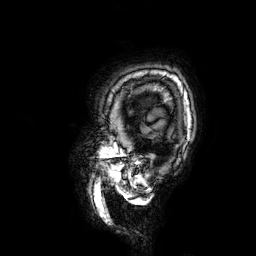
Summary:
3 Tesla brain MRI. Series: 3D T1-weighted. Study: ring-enhancing brain masses.